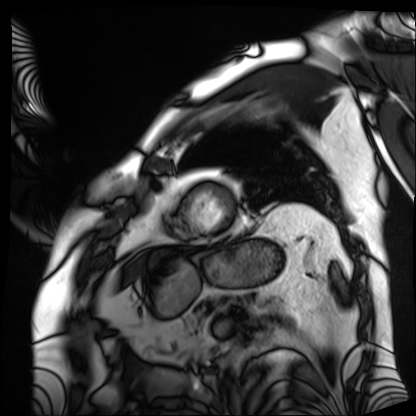
Cardiac MRI. Subject group: patient.